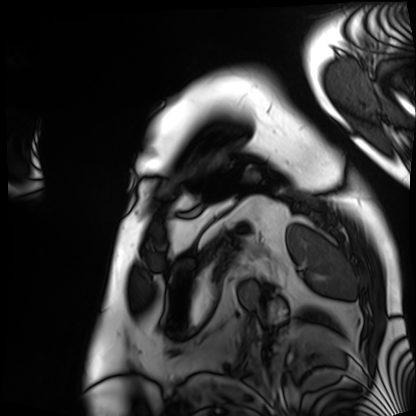
{
  "modality": "cardiac MRI",
  "cohort": "patient"
}